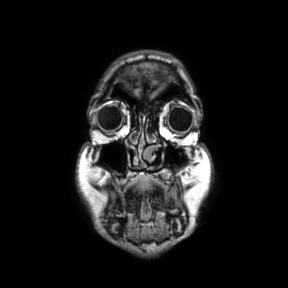
Q: What kind of scan is this?
A: 3 Tesla brain MRI.
Q: Series?
A: Coronal.
Study: ring-enhancing brain masses.